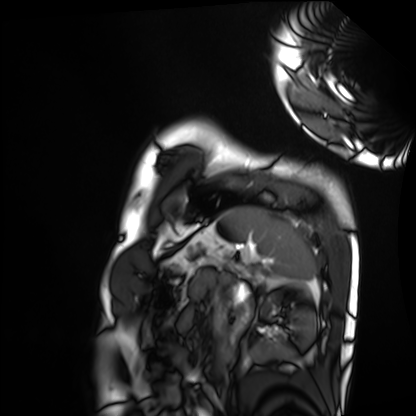
• modality: cardiac MRI
• subject group: healthy volunteer